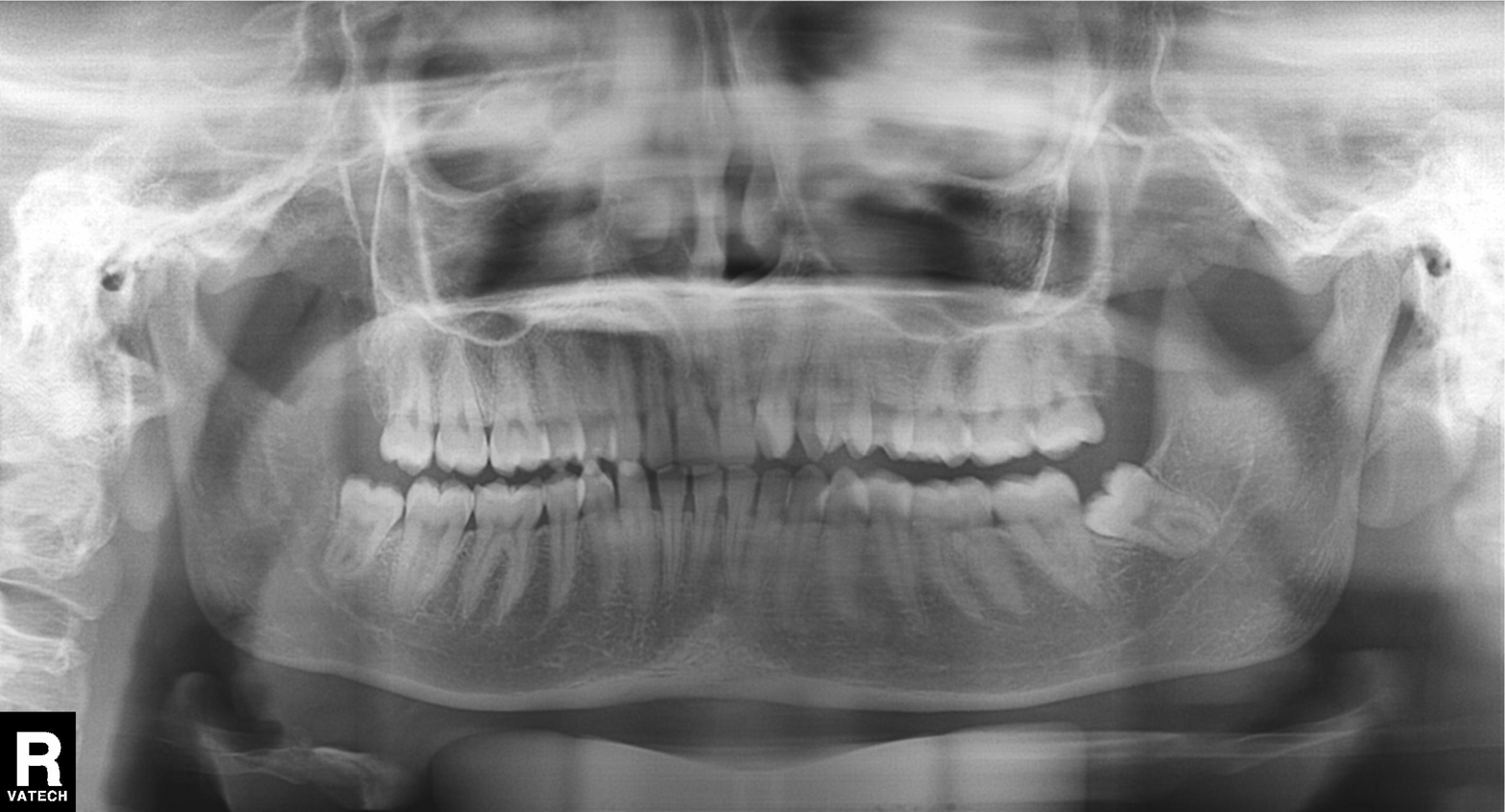
modality — panoramic dental radiograph (orthopantomogram)
finding — alveolar bone loss